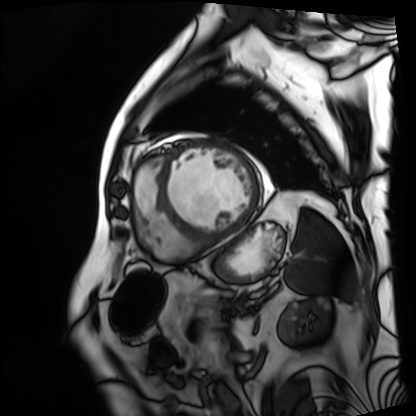
| field | value |
|---|---|
| modality | cardiac MRI |
| subject group | patient |